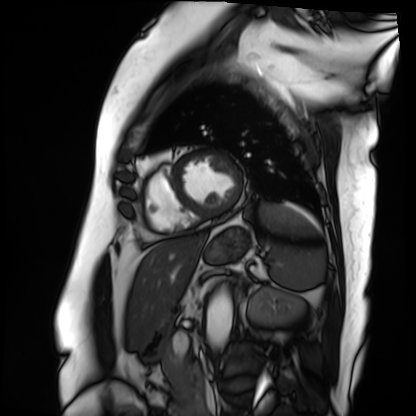
Q: What kind of scan is this?
A: Cardiac MRI.
Subject group: patient.